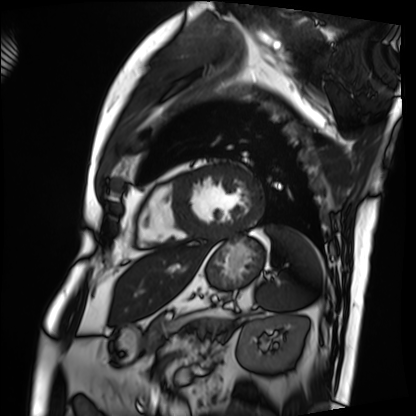
Q: What kind of scan is this?
A: Cardiac MRI.
Subject group: patient.